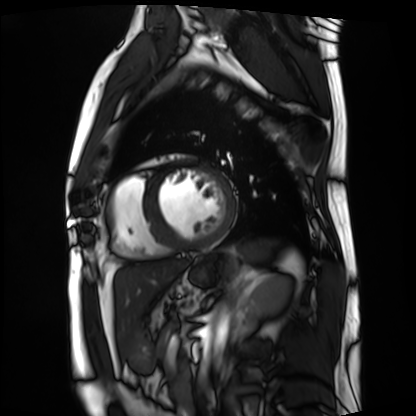
Cardiac MRI. Subject group: patient.